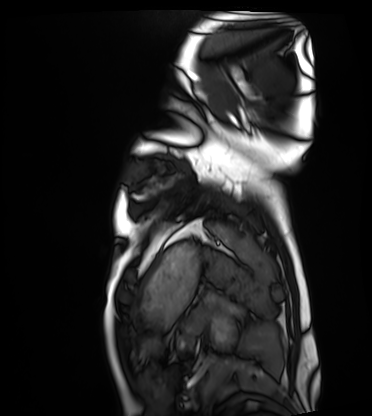
Cardiac MRI.
Subject group: healthy volunteer.